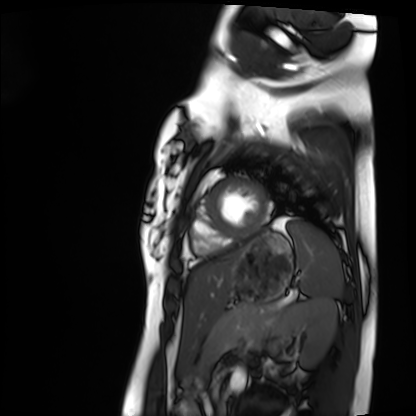
modality: cardiac MRI; subject group: healthy volunteer.